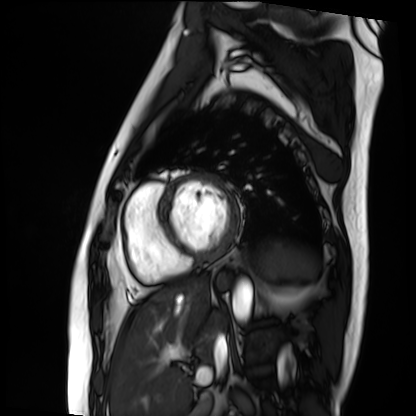
modality: cardiac MRI; subject group: patient.